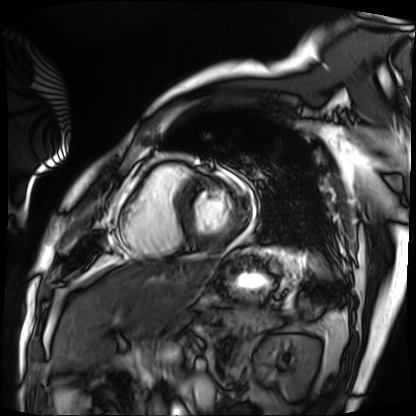
<record>
  <modality>cardiac MRI</modality>
  <cohort>patient</cohort>
</record>